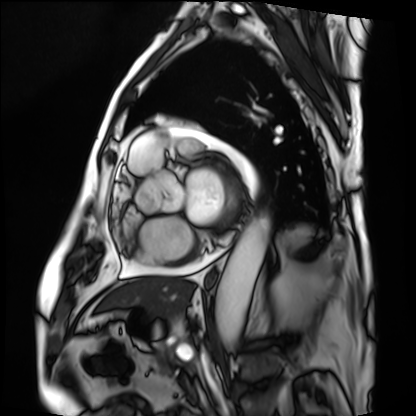
Clinical context:
Cardiac MRI. Subject group: patient.